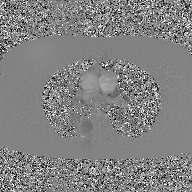
{"modality": {"type": "2D phase-contrast cine MRI", "region": "ascending aorta", "reconstruction": "GAN super-resolution reconstruction"}}